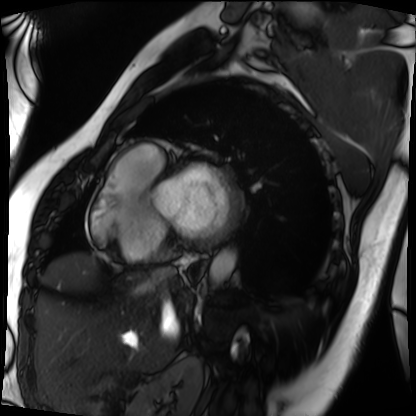
Cardiac MRI.
Subject group: patient.